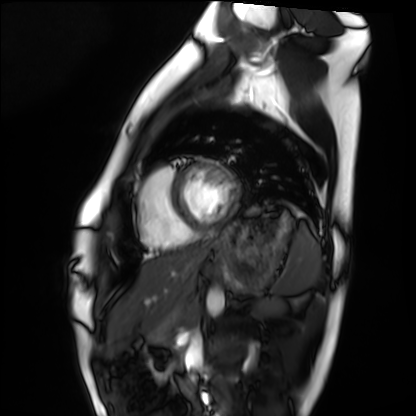
Cardiac MRI. Subject group: healthy volunteer.